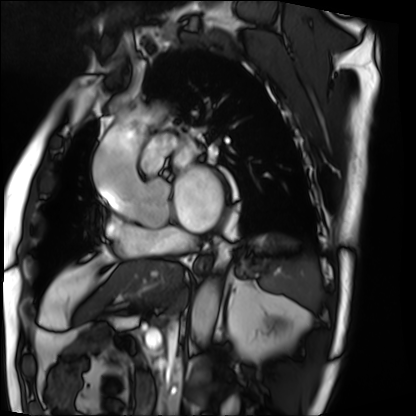
Cardiac MRI.
Subject group: patient.